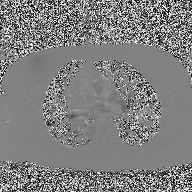
2D phase-contrast cine MRI of the ascending aorta, high-resolution GRAPPA acquisition.